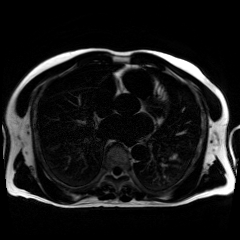
modality: chemical-shift-encoded cardiac MRI.